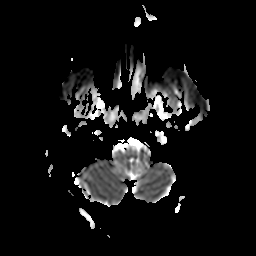
Summary:
3 Tesla brain MRI. Series: apparent diffusion coefficient (ADC) map. Study: ring-enhancing brain masses.